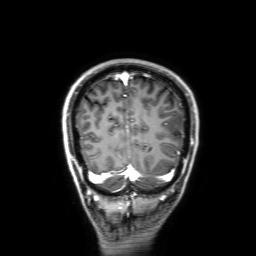
Case summary: 3 Tesla brain MRI. Series: 3D T1-weighted with SENSE. Study: ring-enhancing brain masses.